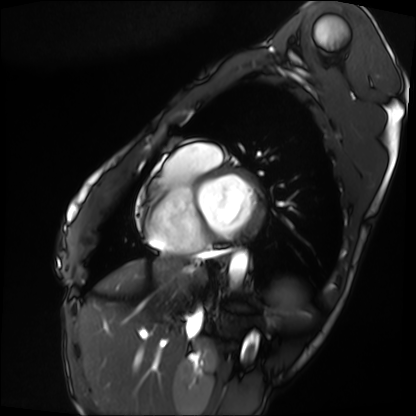
* modality: cardiac MRI
* subject group: patient